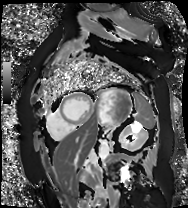
modality = cardiac MR image of the myocardium | subject cohort = cardiac patient.